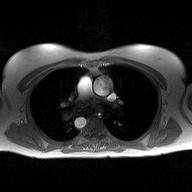
2D phase-contrast cine MRI of the ascending aorta, high-resolution GRAPPA acquisition.